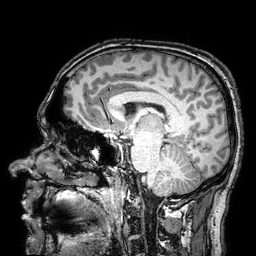
Summary: 3 Tesla brain MRI. Series: 3D T1-weighted turbo field echo with SENSE. Study: ring-enhancing brain masses.